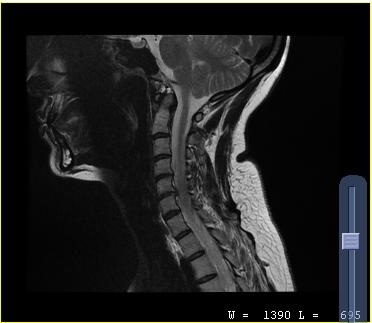
MRI of the cervical spine.
Study: cervical spondylosis.